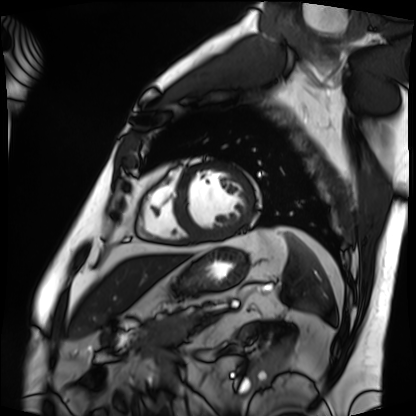
modality: cardiac MRI
cohort: patient